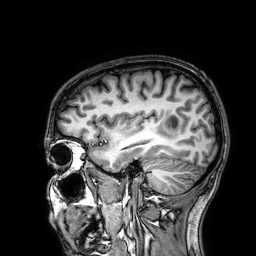
modality — 3 Tesla brain MRI | study — ring-enhancing brain masses.